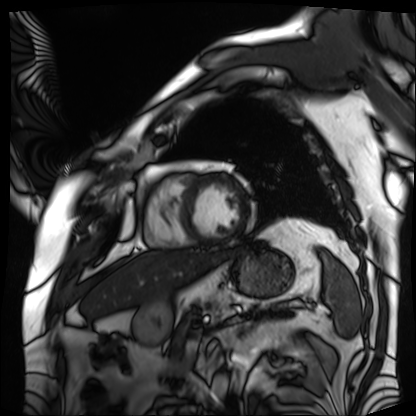
Q: What kind of scan is this?
A: Cardiac MRI.
Subject group: patient.